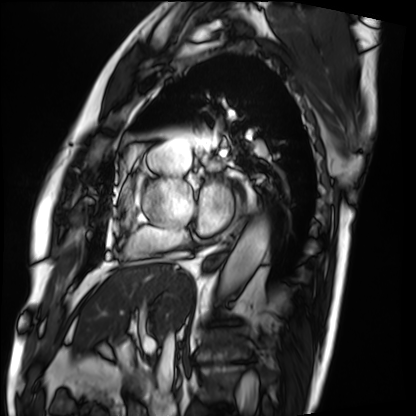
Cardiac MRI. Subject group: patient.